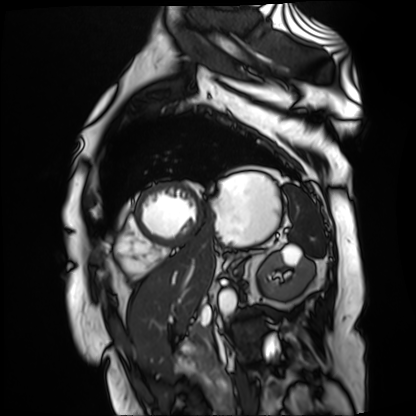
{"modality": "cardiac MR image of the myocardium", "cohort": "cardiac patient"}